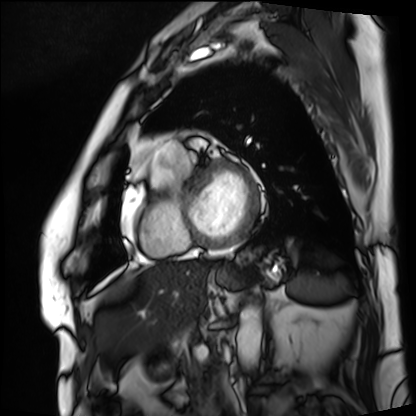
modality = cardiac MRI | subject group = patient.